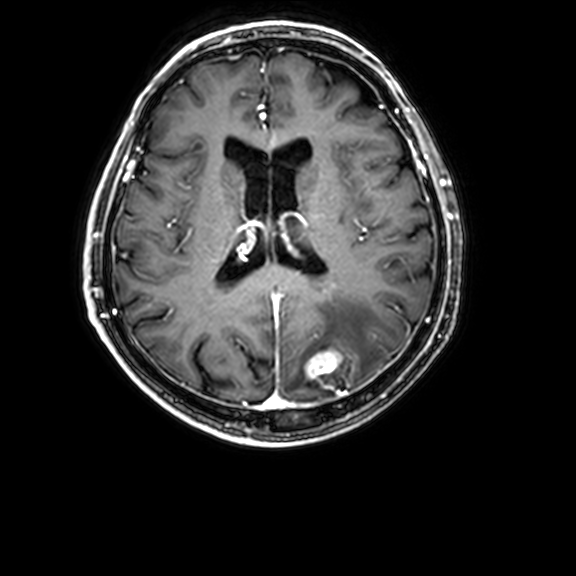
Q: What kind of scan is this?
A: 3 Tesla brain MRI.
Q: Series?
A: 3D T1-weighted with CLEAR.
Study: ring-enhancing brain masses.